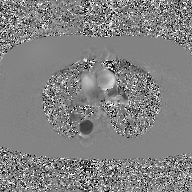
modality: 2D phase-contrast cine MRI of the ascending aorta, GAN super-resolution reconstruction.